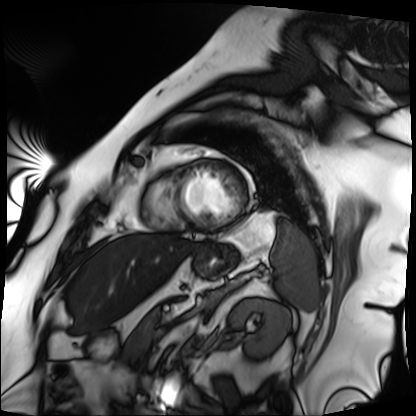
{"modality": "cardiac MRI", "cohort": "patient"}